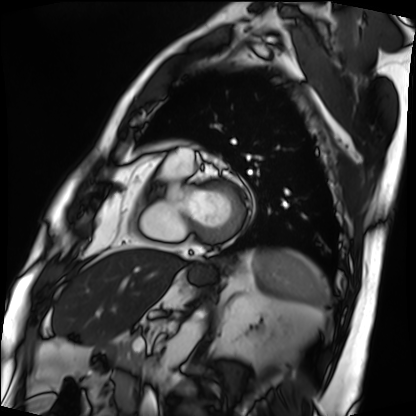
modality = cardiac MRI, subject group = patient.